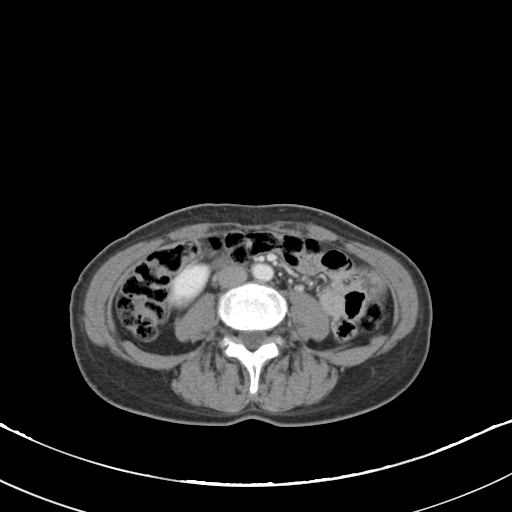
Q: What kind of scan is this?
A: Multiphase abdominal CT, liver, portal venous phase.
Q: Patient?
A: Female, age 53.